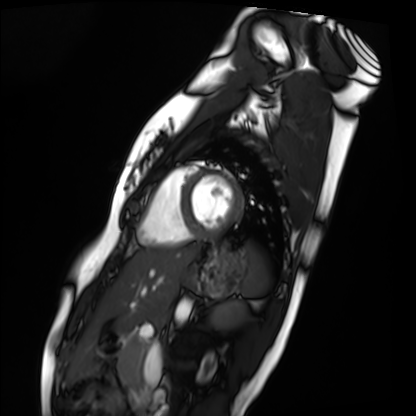
modality: cardiac MRI
subject group: healthy volunteer